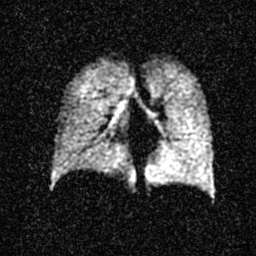
modality: hyperpolarized 129Xe ventilation MRI of the lungs
SNR level: 3 of 8 (the deposit holds this scan as its native image and as seven SNR-degraded versions)